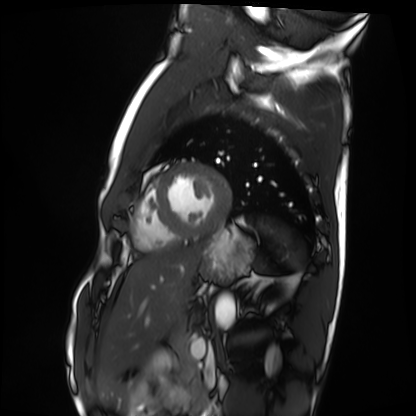
• modality: cardiac MRI
• subject group: healthy volunteer